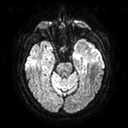
3 Tesla brain MRI. Series: diffusion tensor imaging (medium iso). Study: ring-enhancing brain masses.